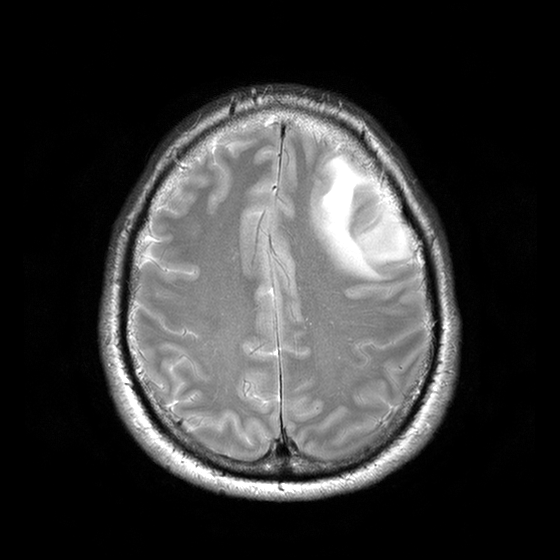
Case:
- modality — 3 Tesla brain MRI
- series — T2-weighted turbo spin echo with CLEAR
- study — ring-enhancing brain masses